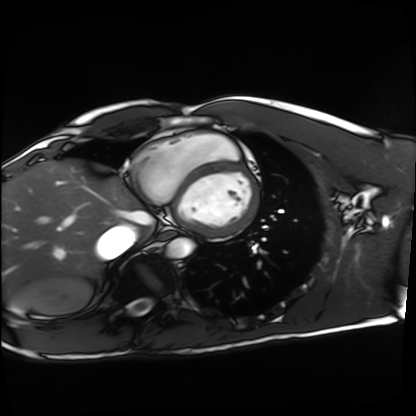
Cardiac MRI.
Subject group: healthy volunteer.